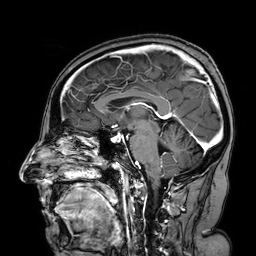
Summary:
3 Tesla brain MRI. Series: 3D T1-weighted turbo field echo with SENSE. Study: ring-enhancing brain masses.